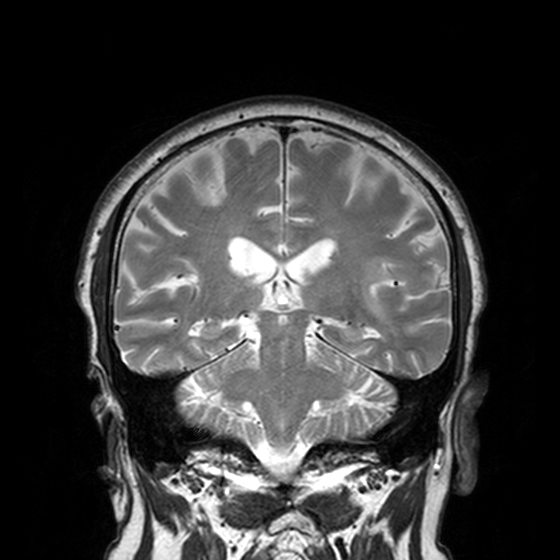
<record>
  <modality>
    <type>brain MRI</type>
    <field_strength>3T</field_strength>
  </modality>
  <study_topic>ring-enhancing brain masses</study_topic>
</record>